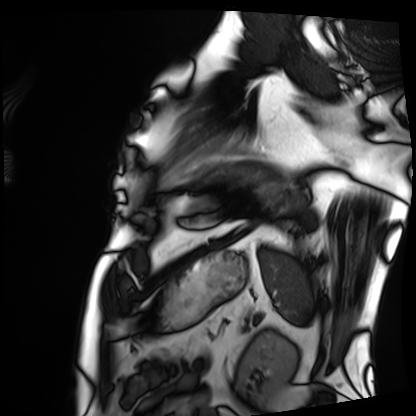
Cardiac MRI. Subject group: patient.